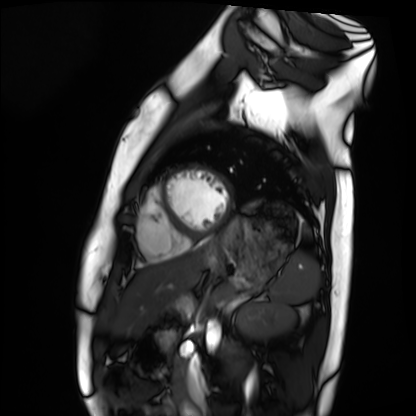
modality: cardiac MRI, subject group: healthy volunteer.